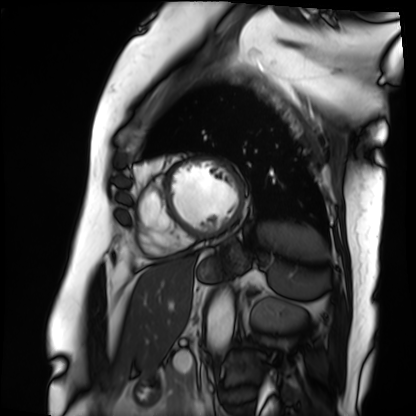
Case:
• modality · cardiac MRI
• subject group · patient